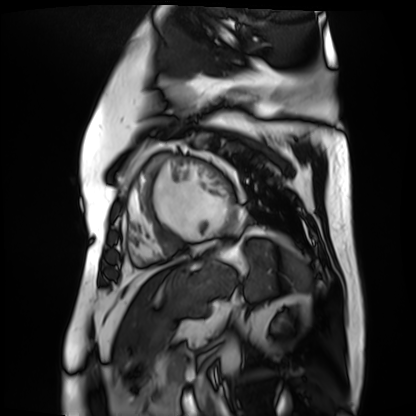
modality: cardiac MR image of the myocardium
subject cohort: cardiac patient